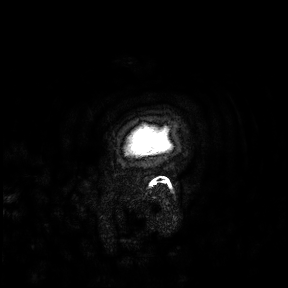
  modality:
    type: brain MRI
    field_strength: 3T
  study_topic: ring-enhancing brain masses